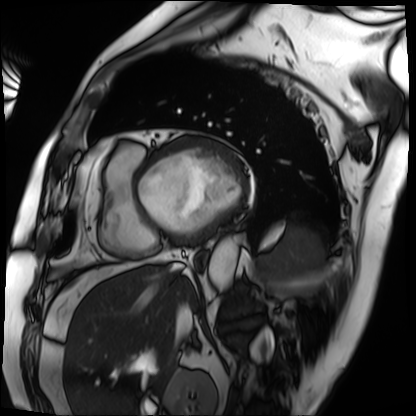
Cardiac MRI. Subject group: patient.